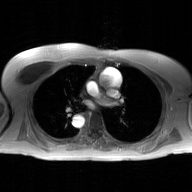
– modality · 2D phase-contrast cine MRI of the ascending aorta, GAN super-resolution reconstruction